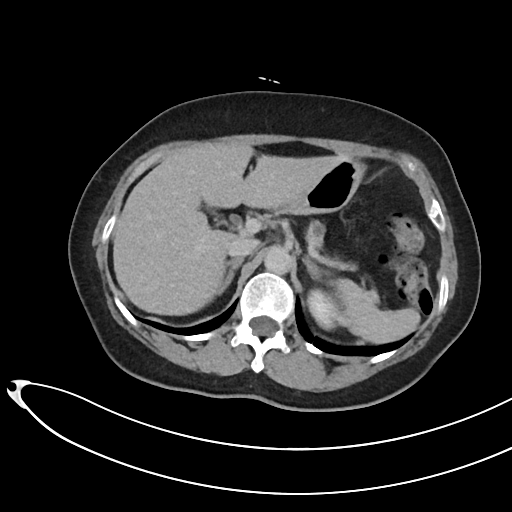
Multiphase abdominal CT, liver, delayed phase. Patient: female, age 69. History: viral hepatitis.